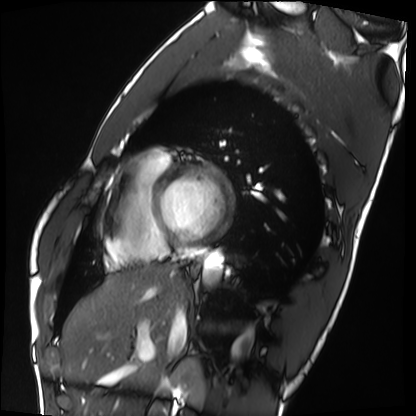
{"modality": "cardiac MRI", "cohort": "healthy volunteer"}